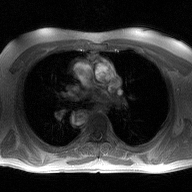
Case:
• modality: 2D phase-contrast cine MRI of the ascending aorta